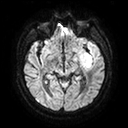
3 Tesla brain MRI. Series: diffusion tensor imaging (medium iso). Study: ring-enhancing brain masses.